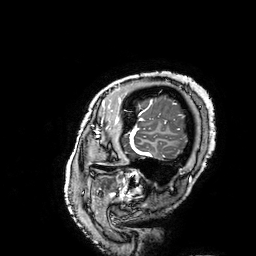
Summary: 3 Tesla brain MRI. Series: 3D T1-weighted turbo field echo with SENSE. Study: ring-enhancing brain masses.